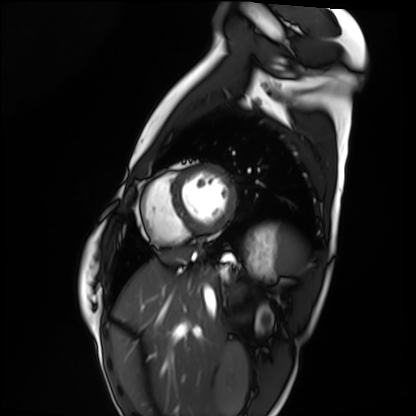
- modality: cardiac MRI
- subject group: healthy volunteer